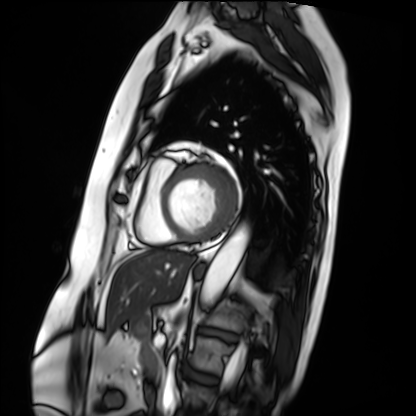
• modality · cardiac MRI
• subject group · patient